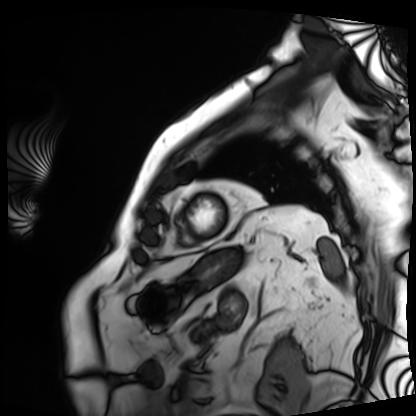
Cardiac MRI.
Subject group: patient.